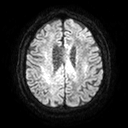
3 Tesla brain MRI.
Series: diffusion tensor imaging (medium iso).
Study: ring-enhancing brain masses.